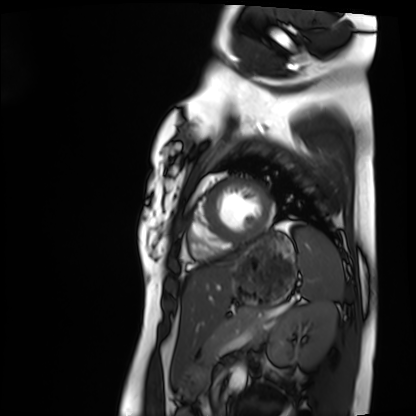
Case summary: Cardiac MRI. Subject group: healthy volunteer.